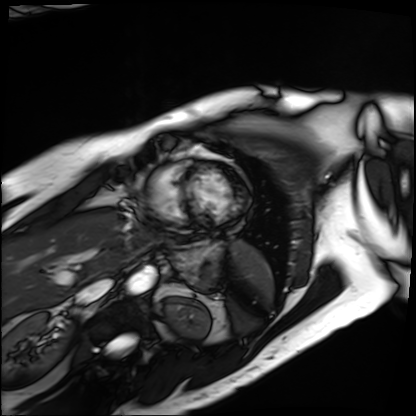
Clinical context: Cardiac MRI. Subject group: patient.